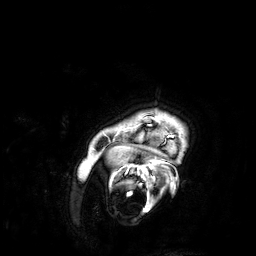
Case:
– modality — 3 Tesla brain MRI
– series — 3D T1-weighted
– study — ring-enhancing brain masses